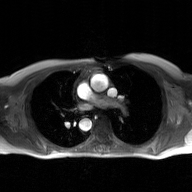
<case>
<modality>
  <type>2D phase-contrast cine MRI</type>
  <region>ascending aorta</region>
  <reconstruction>GAN super-resolution reconstruction</reconstruction>
</modality>
</case>